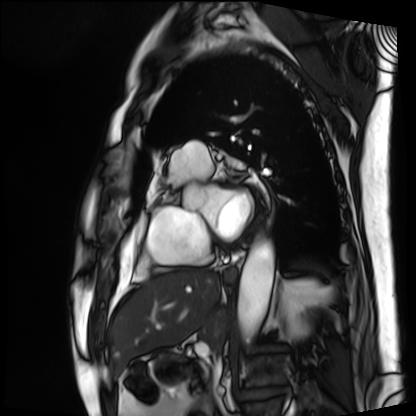
modality = cardiac MRI, subject group = patient.